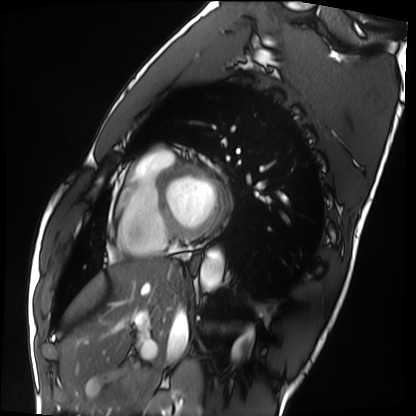
modality = cardiac MRI
subject group = healthy volunteer